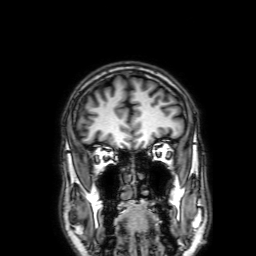
<case>
  <modality>
    <type>brain MRI</type>
    <field_strength>3T</field_strength>
  </modality>
  <series>3D T1-weighted with SENSE</series>
  <study_topic>ring-enhancing brain masses</study_topic>
</case>